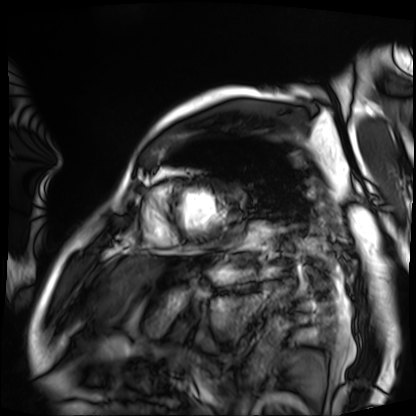
<scan>
  <modality>cardiac MRI</modality>
  <cohort>patient</cohort>
</scan>